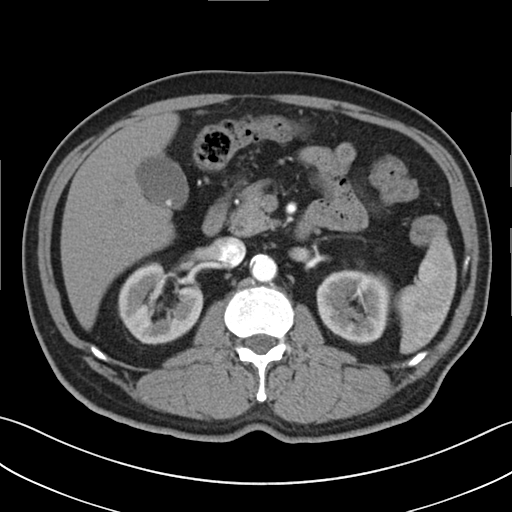
Summary: Multiphase abdominal CT, liver, arterial phase. Patient: male, age 73.